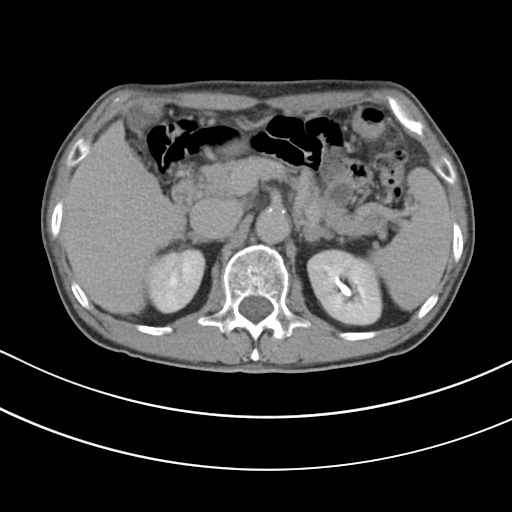
Clinical context:
Multiphase abdominal CT, liver, delayed phase. Patient: male, age 80. History: cirrhosis, viral hepatitis.